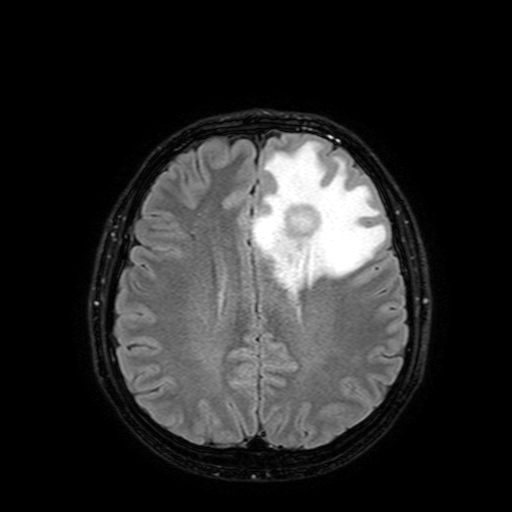
Clinical context: 3 Tesla brain MRI. Series: FLAIR with SPAIR, 3 mm. Study: ring-enhancing brain masses.